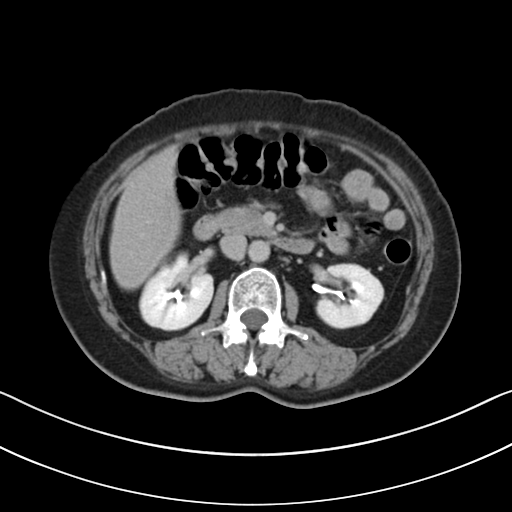
Multiphase abdominal CT, liver, delayed phase. Patient: female, age 52.